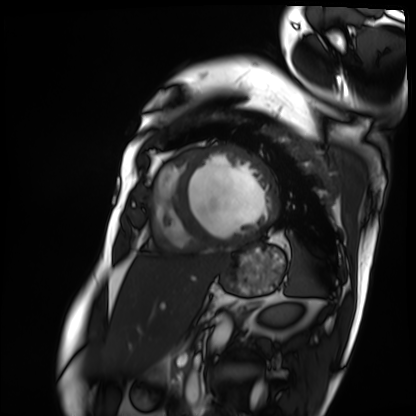
modality = cardiac MRI; subject group = patient.